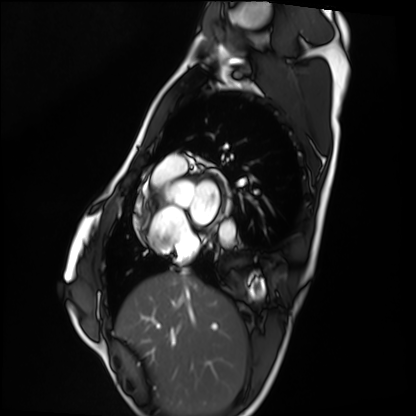
Summary: Cardiac MRI. Subject group: healthy volunteer.